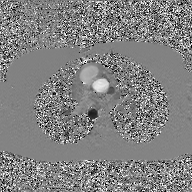
2D phase-contrast cine MRI of the ascending aorta, GAN super-resolution reconstruction.